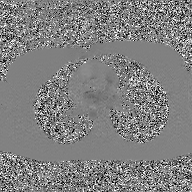
  modality:
    type: 2D phase-contrast cine MRI
    region: ascending aorta
    reconstruction: GAN super-resolution reconstruction